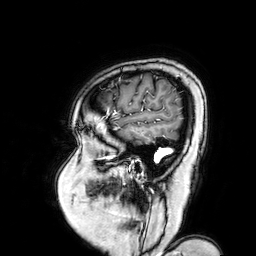
Case summary:
3 Tesla brain MRI. Series: 3D T1-weighted turbo field echo with SENSE. Study: ring-enhancing brain masses.